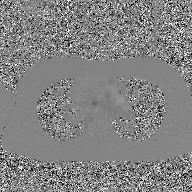
2D phase-contrast cine MRI of the ascending aorta, GAN super-resolution reconstruction.